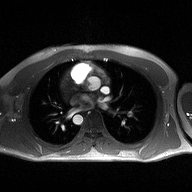
Q: What kind of scan is this?
A: 2D phase-contrast cine MRI of the ascending aorta.